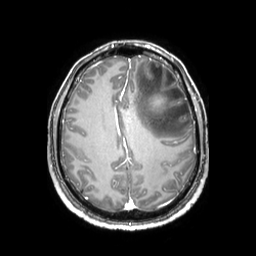
modality:
  type: brain MRI
  field_strength: 3T
study_topic: ring-enhancing brain masses